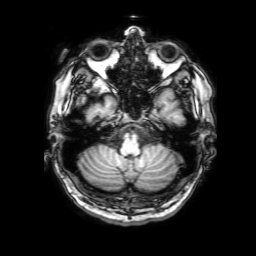
Q: What kind of scan is this?
A: 3 Tesla brain MRI.
Q: Series?
A: 3D T1-weighted with SENSE.
Study: ring-enhancing brain masses.